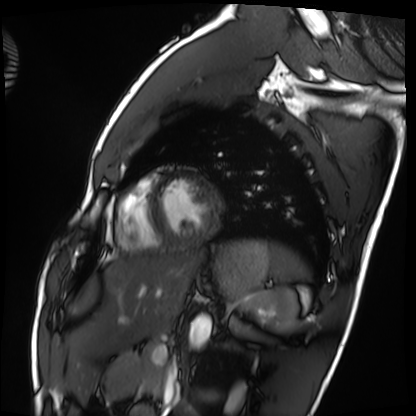
Cardiac MRI.
Subject group: healthy volunteer.